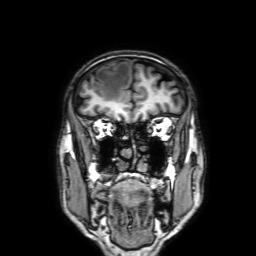
- modality: 3 Tesla brain MRI
- series: 3D T1-weighted with SENSE
- study: ring-enhancing brain masses